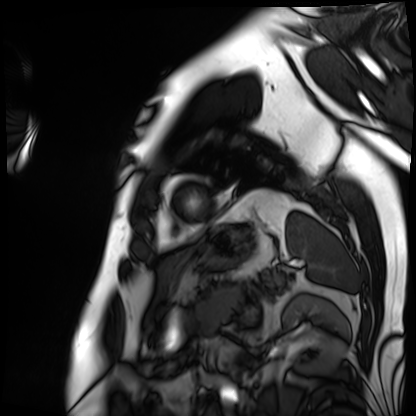
Cardiac MRI. Subject group: patient.